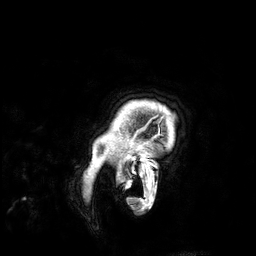
Summary:
3 Tesla brain MRI. Series: 3D T1-weighted. Study: ring-enhancing brain masses.